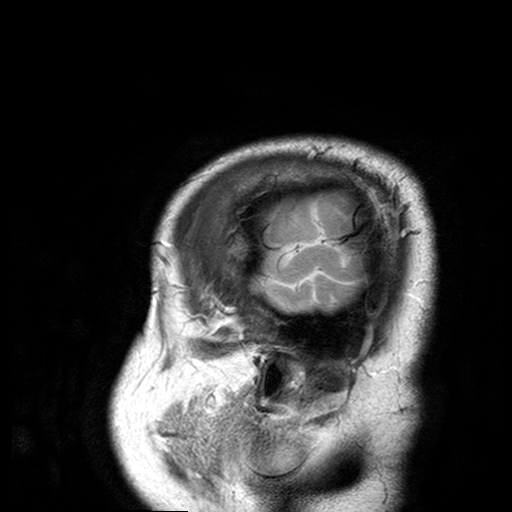
3 Tesla brain MRI.
Series: T2-weighted turbo spin echo with SENSE.
Study: ring-enhancing brain masses.